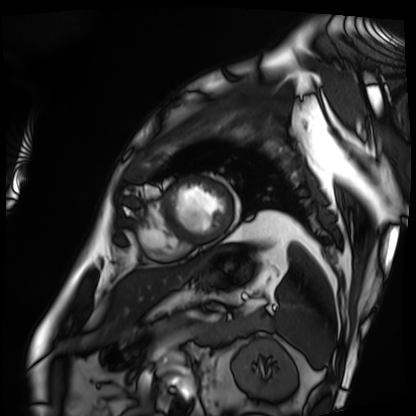
Case:
- modality: cardiac MRI
- subject group: patient